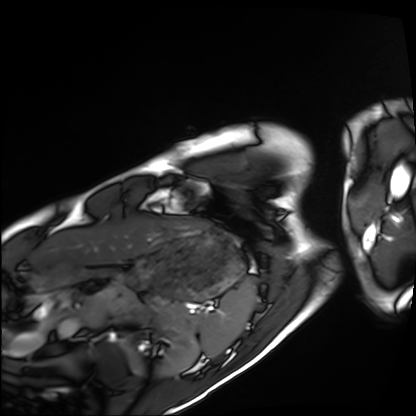
Cardiac MRI. Subject group: healthy volunteer.